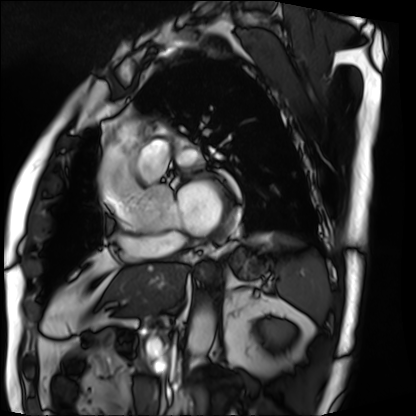
modality=cardiac MRI
subject group=patient